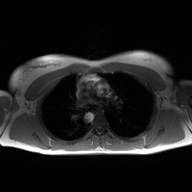
Clinical context:
2D phase-contrast cine MRI of the ascending aorta, high-resolution GRAPPA acquisition.